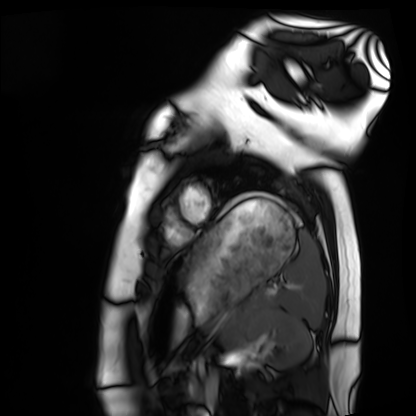
| field | value |
|---|---|
| modality | cardiac MRI |
| subject group | healthy volunteer |